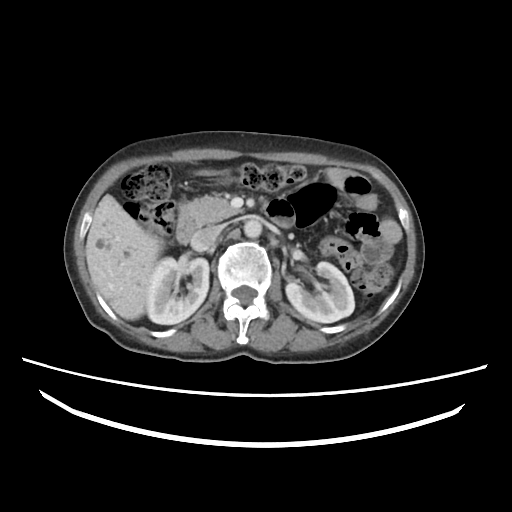
Multiphase abdominal CT, liver, portal venous phase. Patient: female, age 65. History: prior chemotherapy.